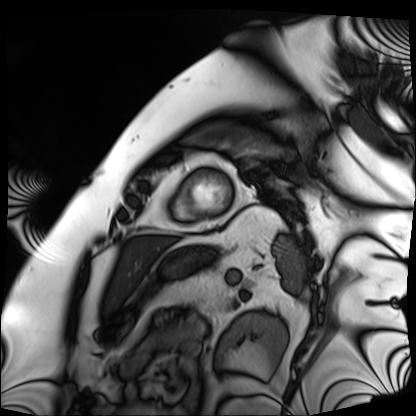
Cardiac MRI.
Subject group: patient.